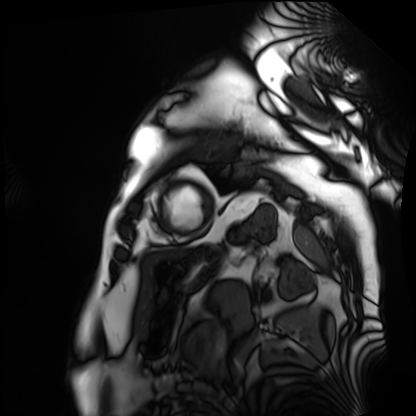
Summary: Cardiac MRI. Subject group: patient.